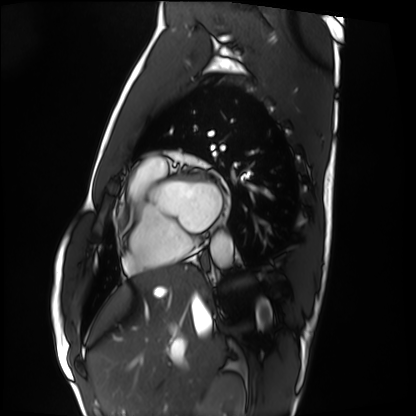
– modality · cardiac MRI
– subject group · healthy volunteer